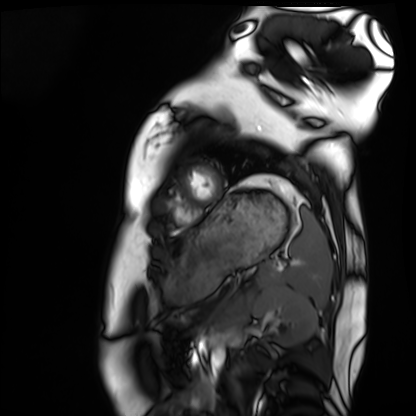
Q: What kind of scan is this?
A: Cardiac MRI.
Subject group: healthy volunteer.